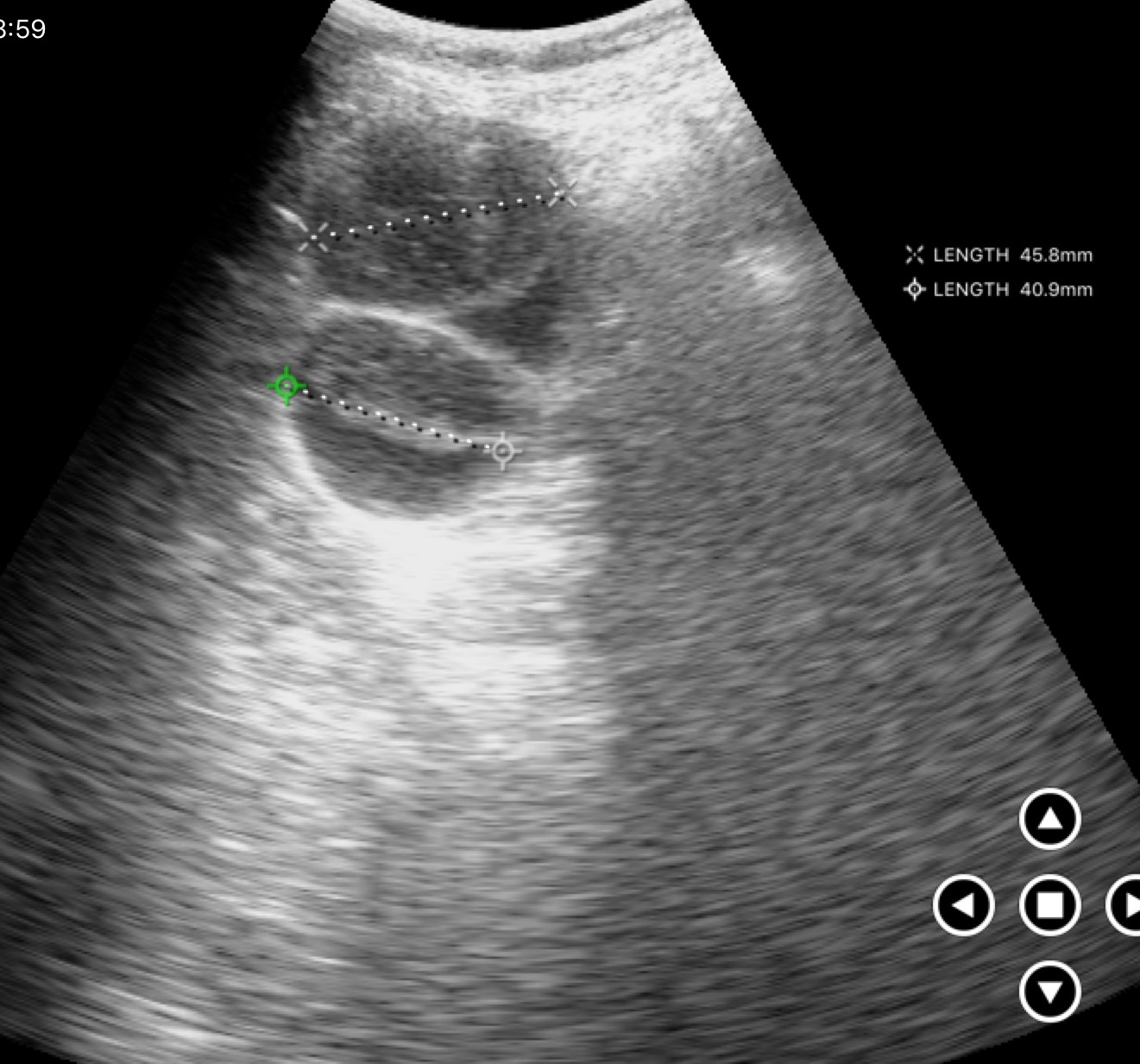
Genitourinary ultrasound.